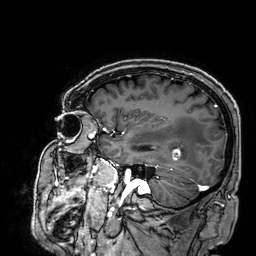
3 Tesla brain MRI.
Series: 3D T1-weighted.
Study: ring-enhancing brain masses.